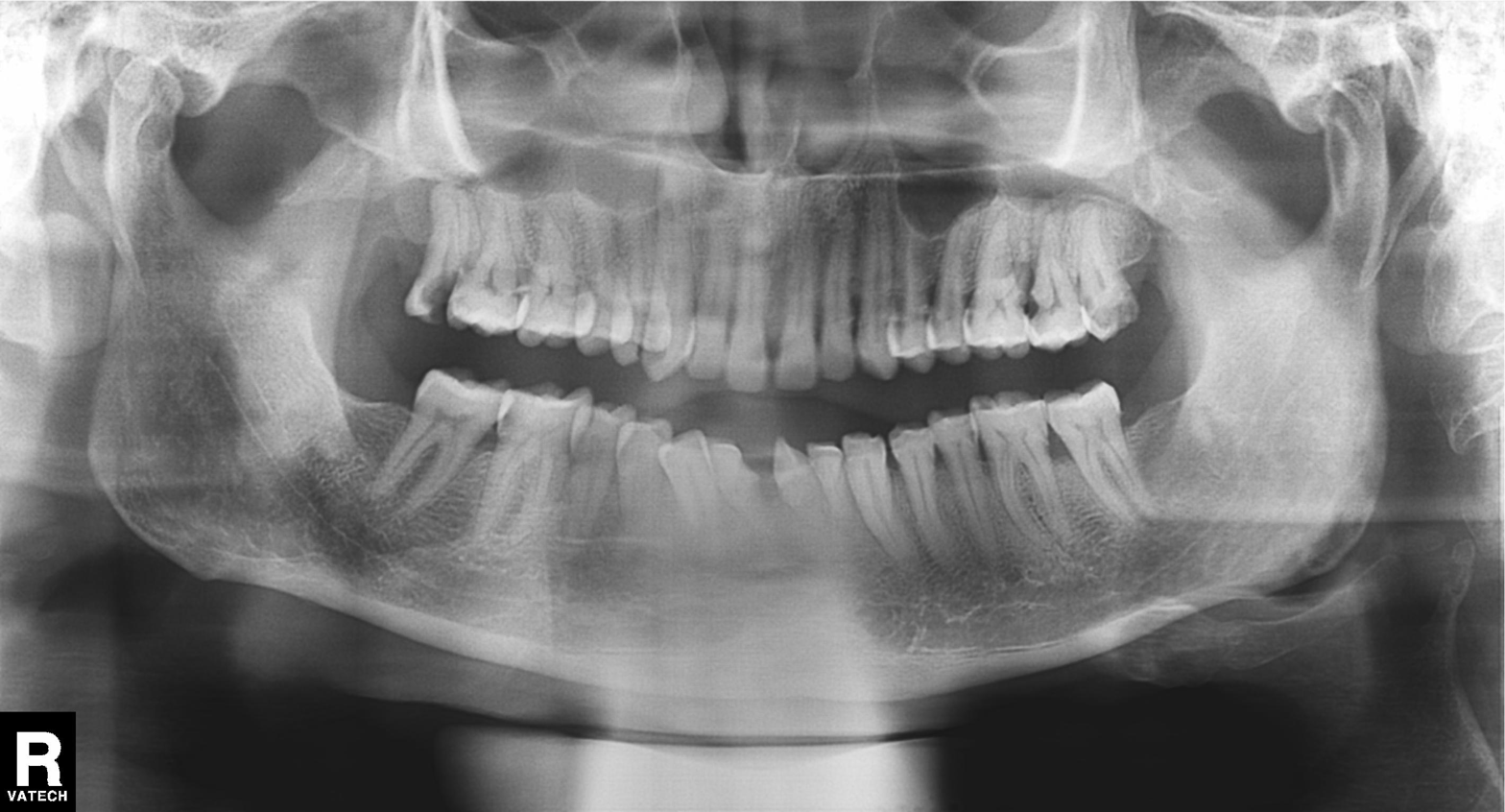
Summary:
Panoramic dental radiograph (orthopantomogram).
Diagnosis:
Alveolar bone loss.